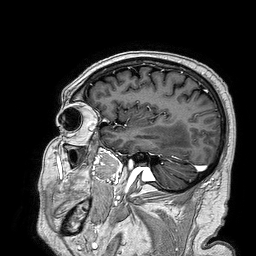
modality=3 Tesla brain MRI; series=3D T1-weighted turbo field echo; study=ring-enhancing brain masses.